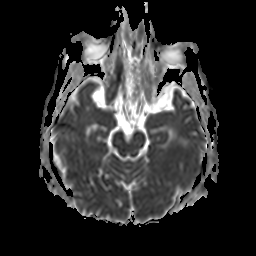
  modality:
    type: brain MRI
    field_strength: 3T
  series: apparent diffusion coefficient (ADC) map
  study_topic: ring-enhancing brain masses